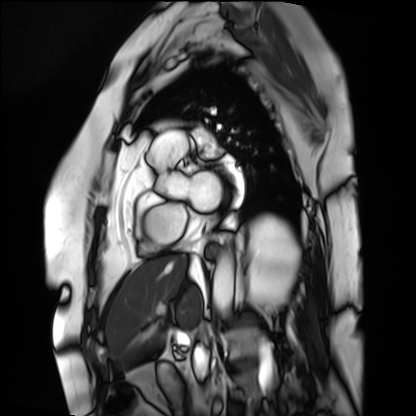
Cardiac MRI. Subject group: patient.